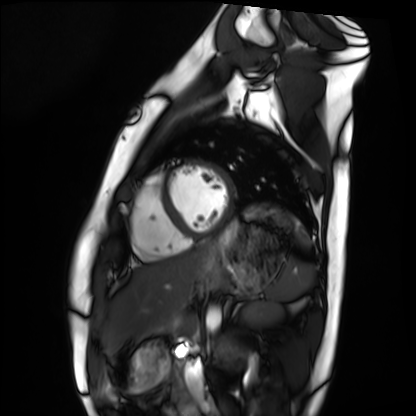
Cardiac MRI. Subject group: healthy volunteer.